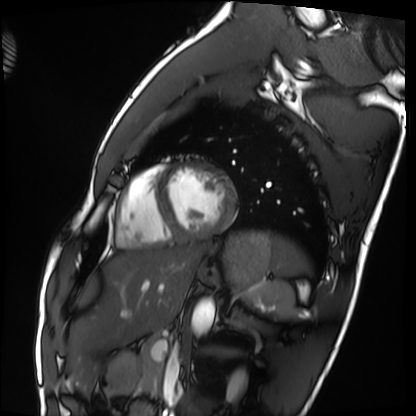
Clinical context: Cardiac MRI. Subject group: healthy volunteer.